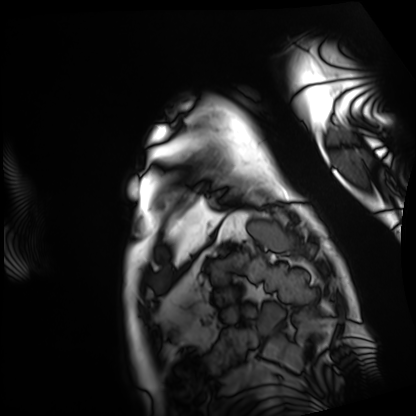
Cardiac MRI.
Subject group: patient.